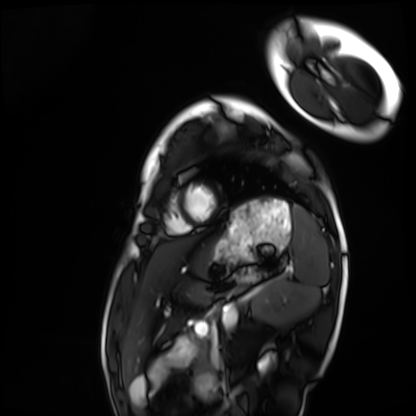
Q: What kind of scan is this?
A: Cardiac MRI.
Subject group: healthy volunteer.